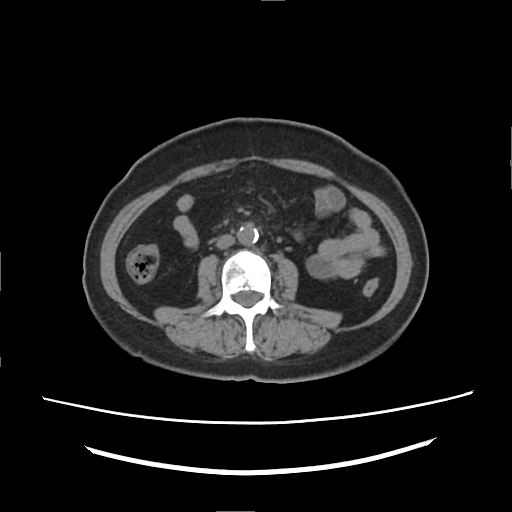
Q: What kind of scan is this?
A: Multiphase abdominal CT, liver, non-contrast phase.
Q: Patient?
A: Female, age 60.
Q: History?
A: Prior chemotherapy.